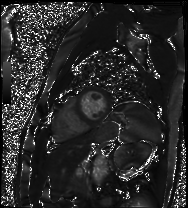
– modality · cardiac MRI
– subject group · patient